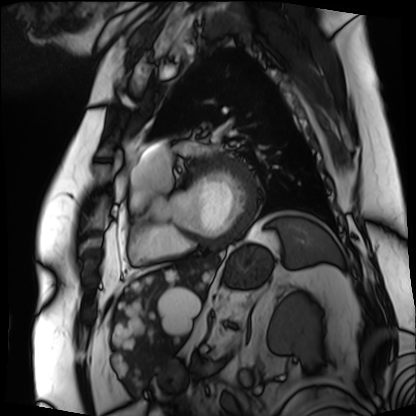
modality: cardiac MRI | subject group: patient.